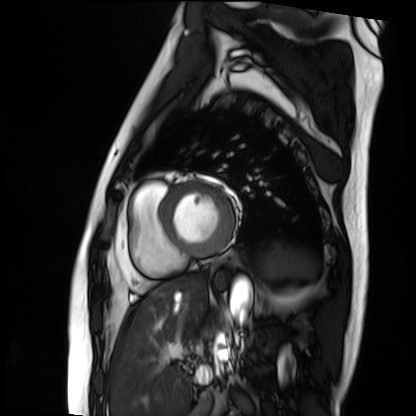
* modality: cardiac MRI
* subject group: patient